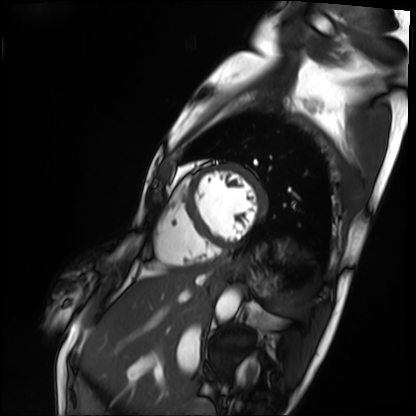
| field | value |
|---|---|
| modality | cardiac MRI |
| subject group | patient |